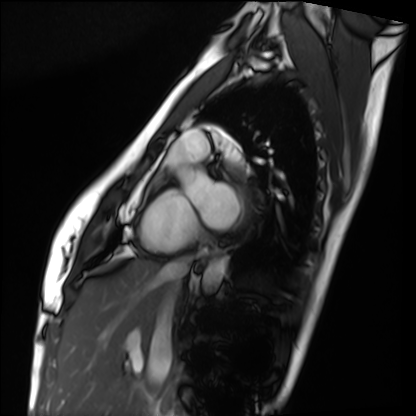
modality: cardiac MRI
subject group: healthy volunteer